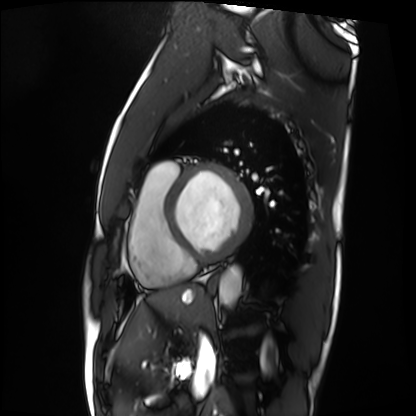
Cardiac MRI. Subject group: patient.